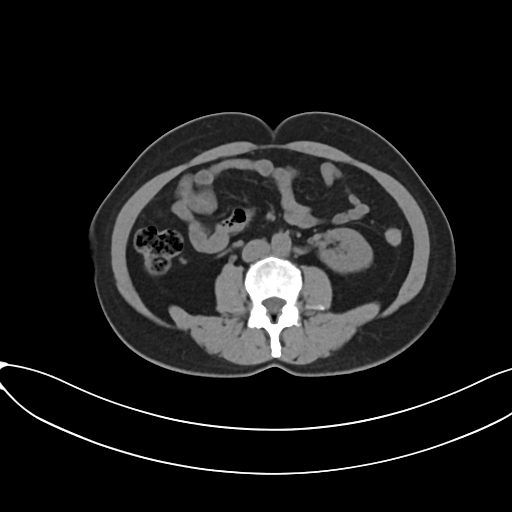
modality = multiphase abdominal CT, liver, non-contrast phase | patient = female, age 50 | history = viral hepatitis.